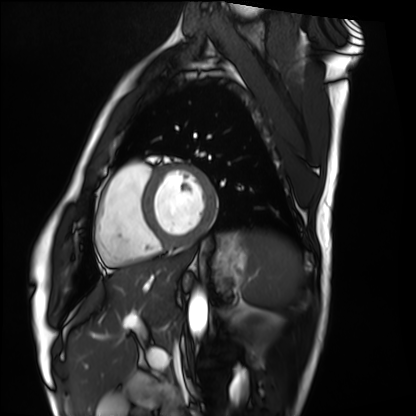
modality: cardiac MRI, subject group: healthy volunteer.